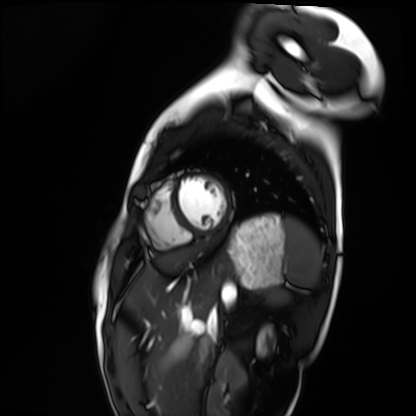
Clinical context: Cardiac MRI. Subject group: healthy volunteer.